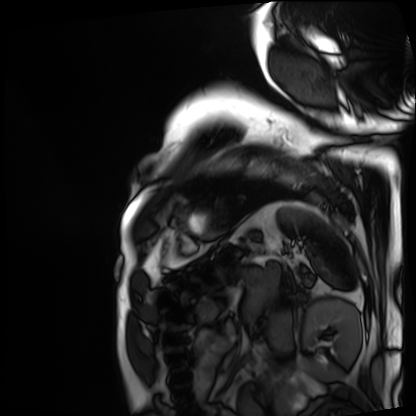
Cardiac MRI.
Subject group: patient.